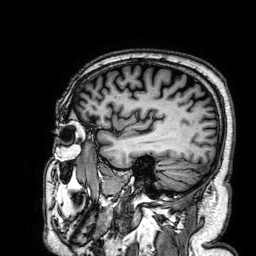
Summary:
3 Tesla brain MRI. Series: 3D T1-weighted. Study: ring-enhancing brain masses.